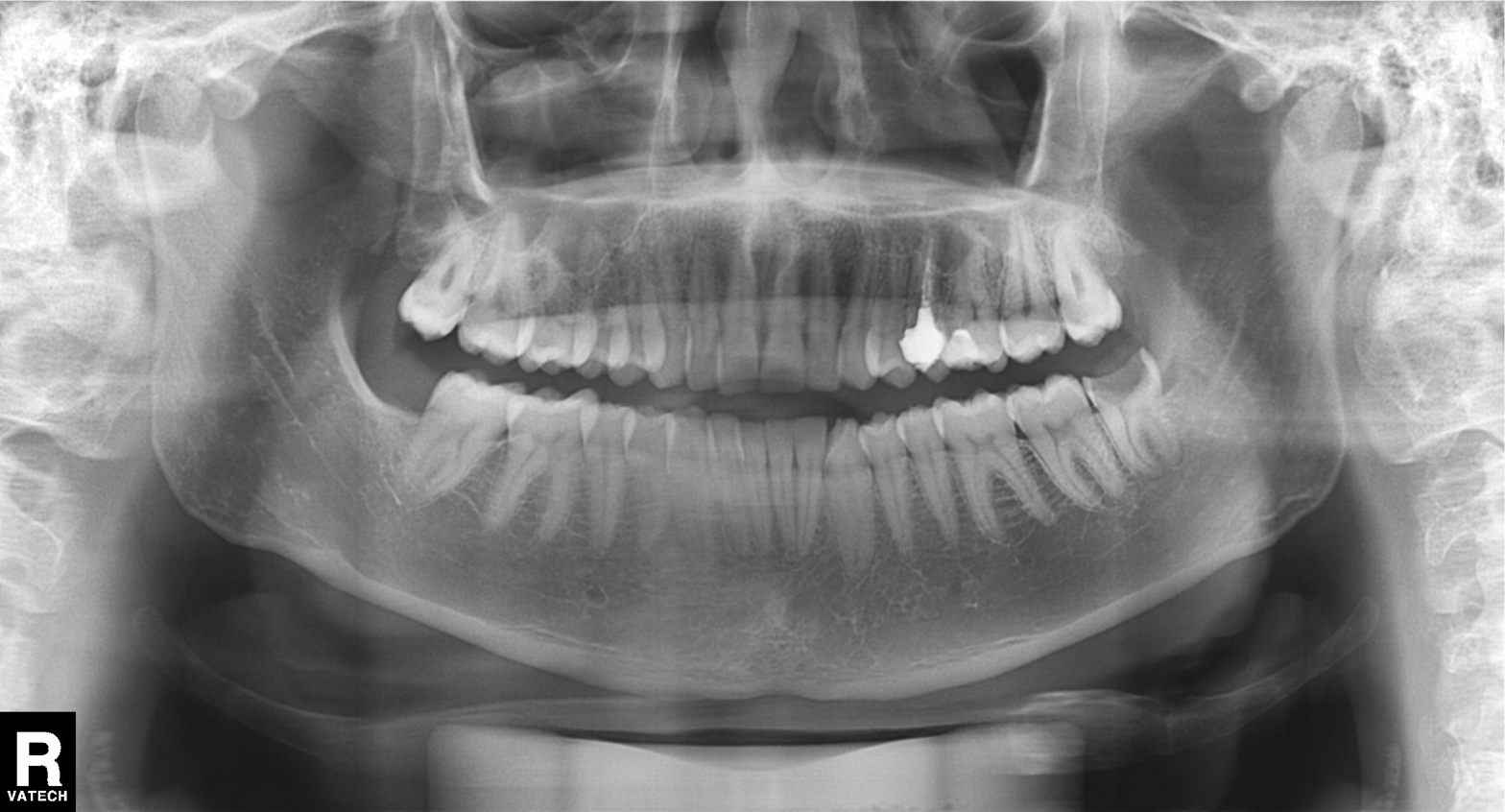
Clinical context: Panoramic dental radiograph (orthopantomogram).
Conclusion: Dental caries (cavities).